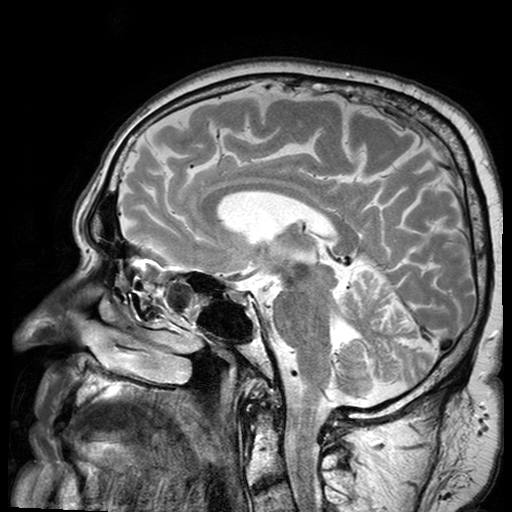
modality: 3 Tesla brain MRI
series: T2-weighted turbo spin echo with SENSE
study: ring-enhancing brain masses